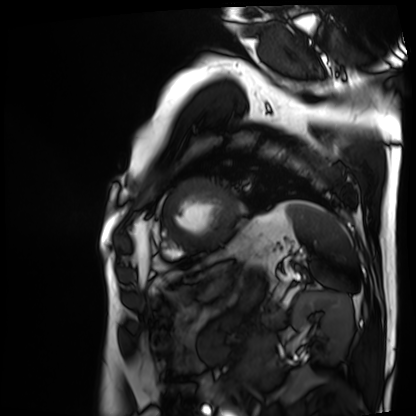
| field | value |
|---|---|
| modality | cardiac MRI |
| subject group | patient |